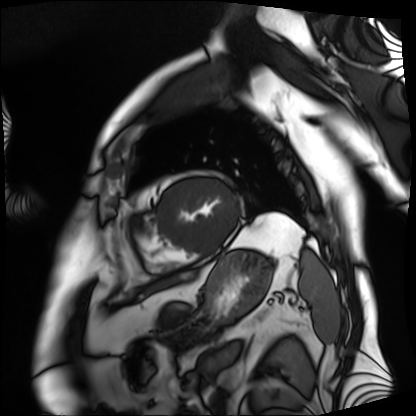
| field | value |
|---|---|
| modality | cardiac MRI |
| subject group | patient |